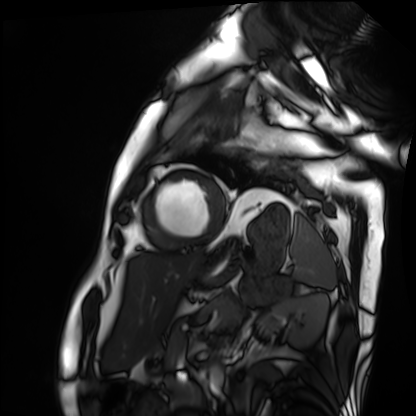
modality: cardiac MRI; subject group: patient.